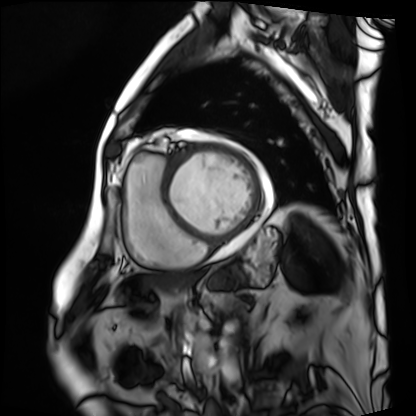
Cardiac MRI.
Subject group: patient.